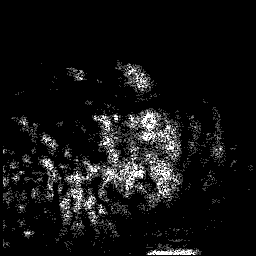
3 Tesla brain MRI. Series: 3D T1-weighted. Study: ring-enhancing brain masses.